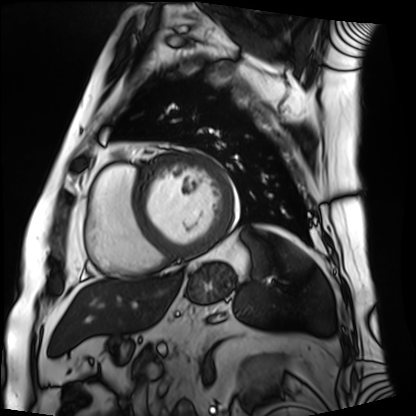
modality: cardiac MRI
cohort: patient